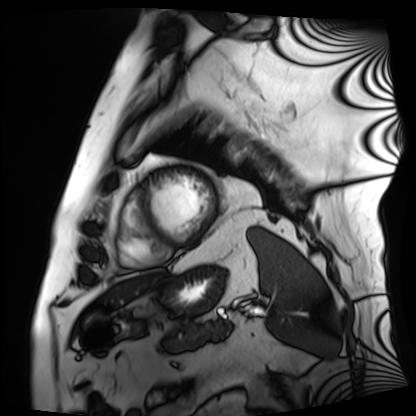
modality = cardiac MRI; subject group = patient.